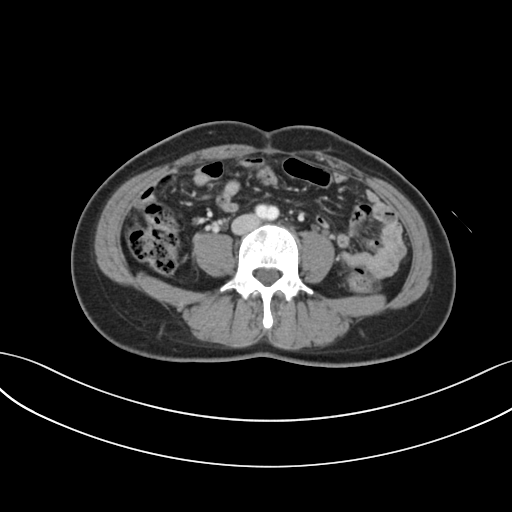
Case:
– modality — multiphase abdominal CT, liver, portal venous phase
– patient — female, age 38
– history — prior chemotherapy